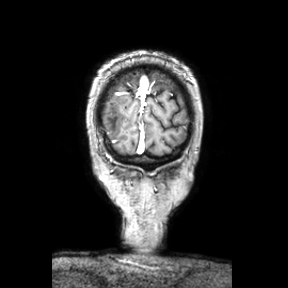
3 Tesla brain MRI. Series: coronal. Study: ring-enhancing brain masses.